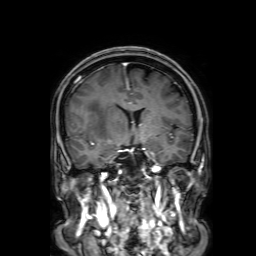
Case summary:
3 Tesla brain MRI. Series: 3D T1-weighted with SENSE. Study: ring-enhancing brain masses.